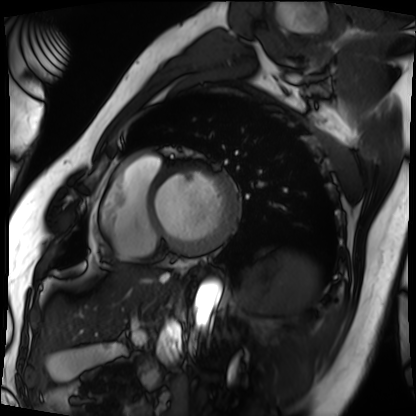
Q: What kind of scan is this?
A: Cardiac MRI.
Subject group: patient.